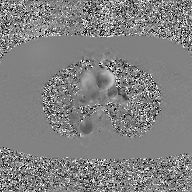
Case summary: 2D phase-contrast cine MRI of the ascending aorta, GAN super-resolution reconstruction.